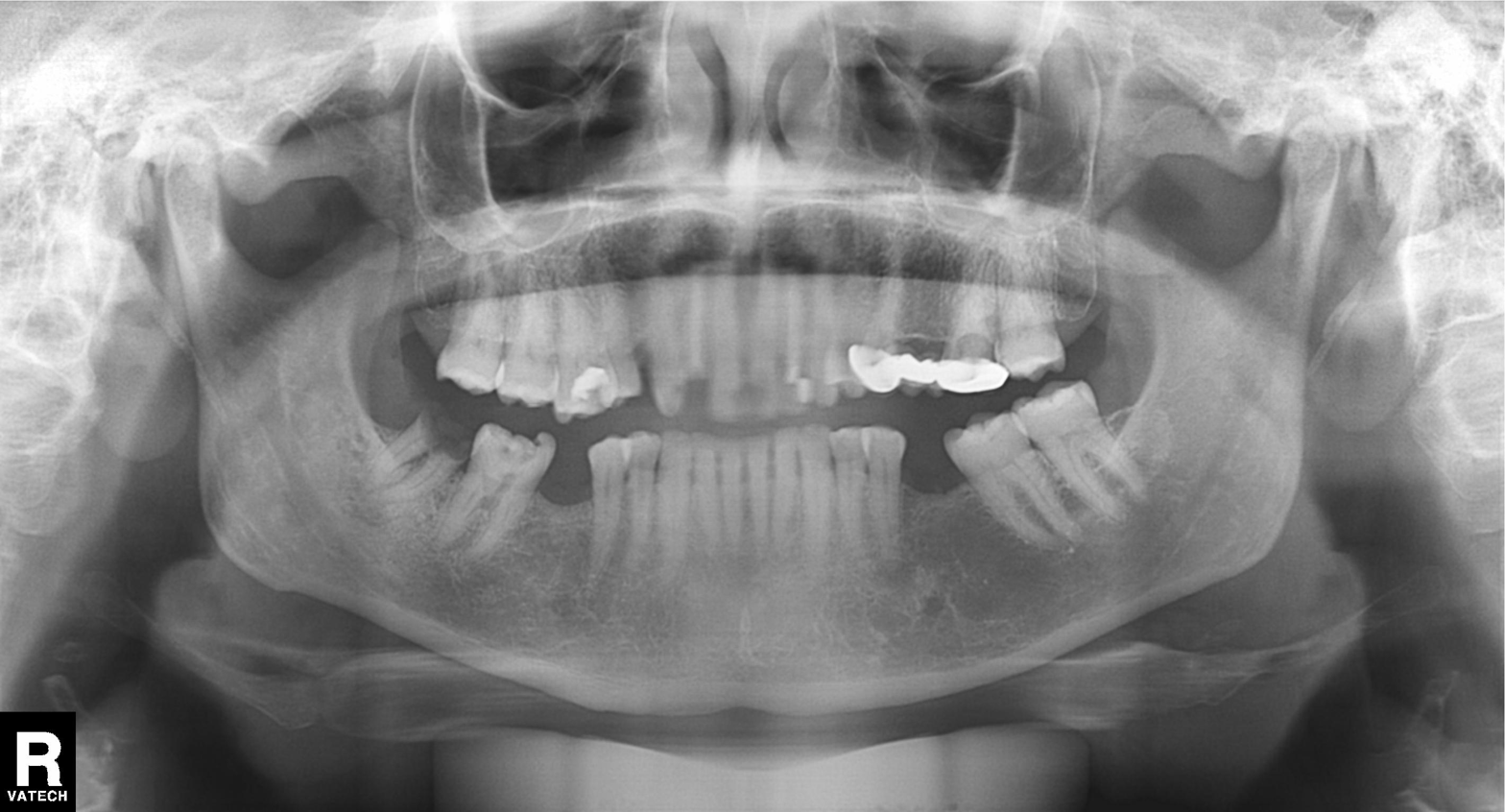
Findings:
* modality — panoramic dental radiograph (orthopantomogram)
* finding — alveolar bone loss